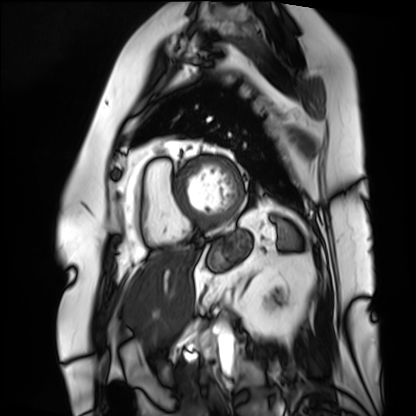
Cardiac MRI. Subject group: patient.